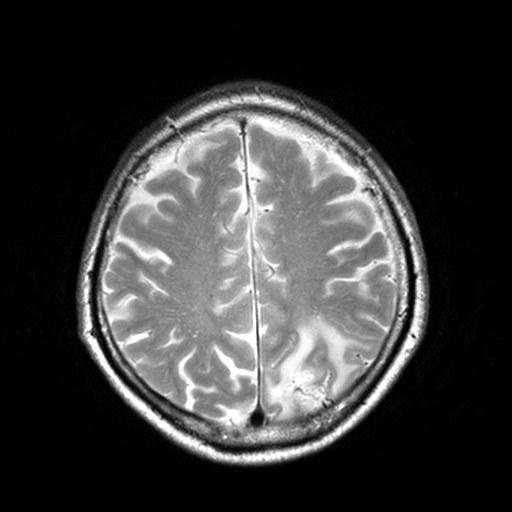
3 Tesla brain MRI.
Series: T2-weighted turbo spin echo, 3 mm.
Study: ring-enhancing brain masses.